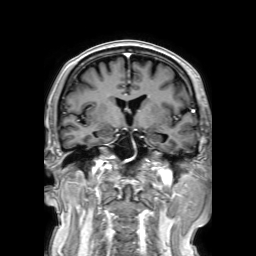
• modality: 3 Tesla brain MRI
• series: 3D T1-weighted TFE with SENSE
• study: ring-enhancing brain masses